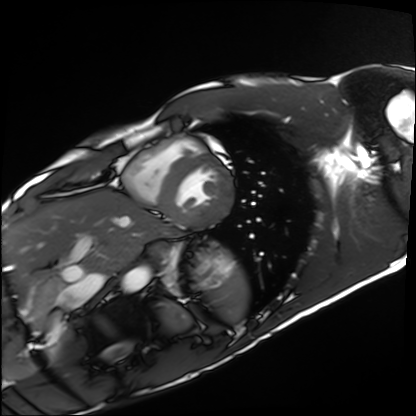
Cardiac MRI. Subject group: healthy volunteer.